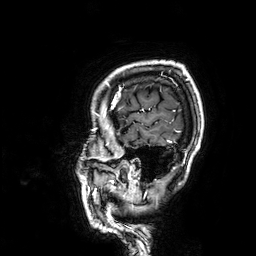
modality: 3 Tesla brain MRI; series: 3D T1-weighted; study: ring-enhancing brain masses.